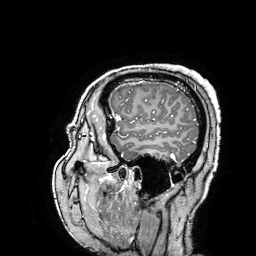
3 Tesla brain MRI. Series: 3D T1-weighted turbo field echo with SENSE. Study: ring-enhancing brain masses.